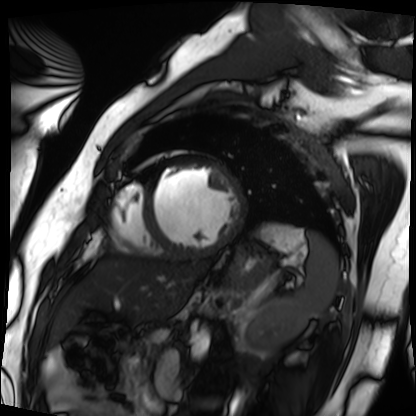
• modality — cardiac MRI
• subject group — patient